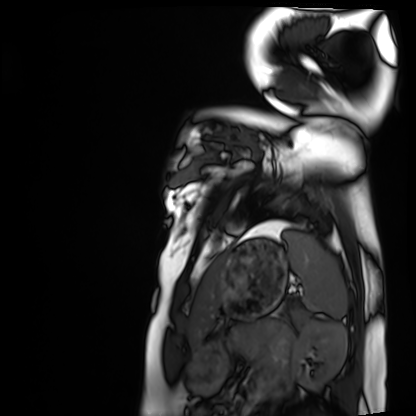
Q: What kind of scan is this?
A: Cardiac MRI.
Subject group: healthy volunteer.